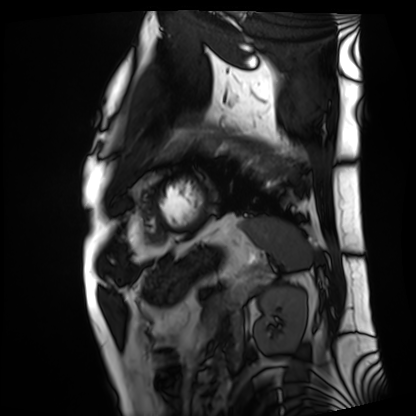
{"modality": "cardiac MRI", "cohort": "patient"}